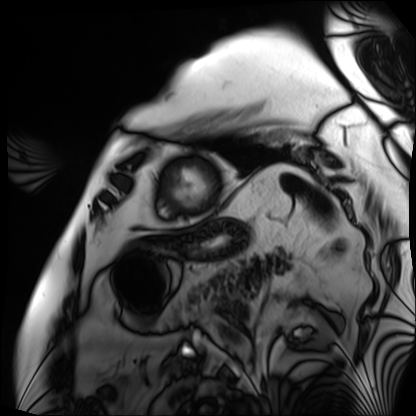
Summary: Cardiac MRI. Subject group: patient.